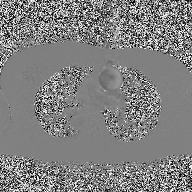
Clinical context:
2D phase-contrast cine MRI of the ascending aorta, high-resolution GRAPPA acquisition.